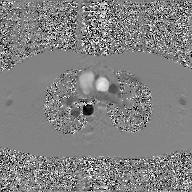
Case:
– modality: 2D phase-contrast cine MRI of the ascending aorta, GAN super-resolution reconstruction